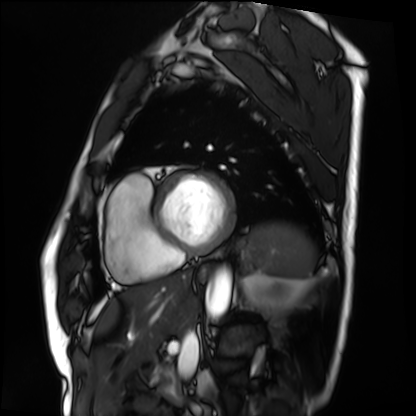
<scan>
  <modality>cardiac MRI</modality>
  <cohort>patient</cohort>
</scan>